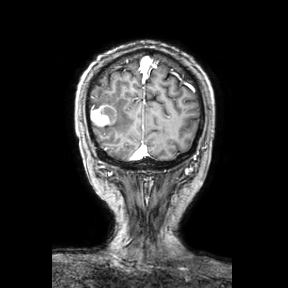
modality = 3 Tesla brain MRI; series = coronal; study = ring-enhancing brain masses.